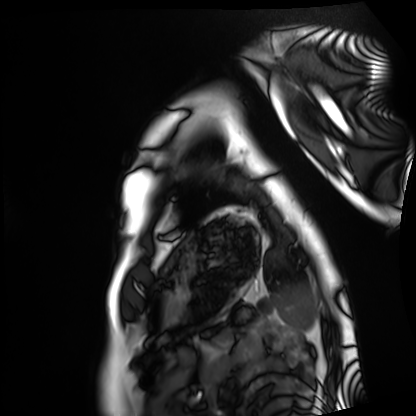
Cardiac MRI. Subject group: healthy volunteer.